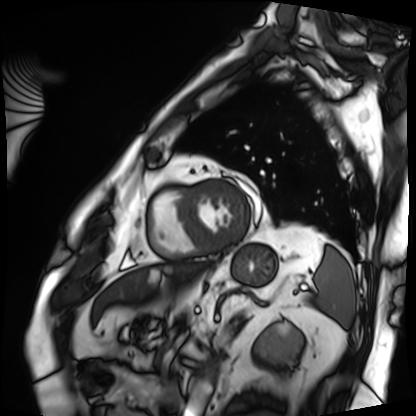
{"modality": "cardiac MRI", "cohort": "patient"}